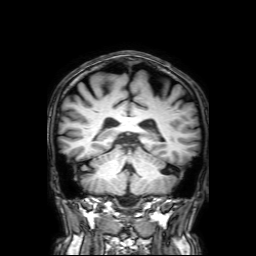
3 Tesla brain MRI. Series: 3D T1-weighted with SENSE. Study: ring-enhancing brain masses.